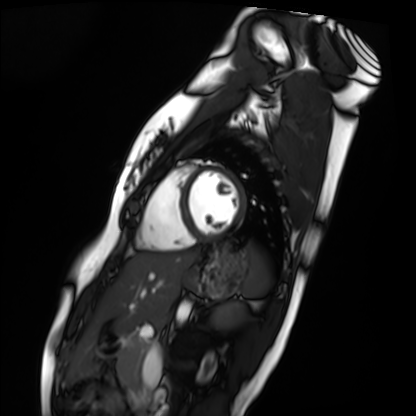
modality = cardiac MRI; subject group = healthy volunteer.